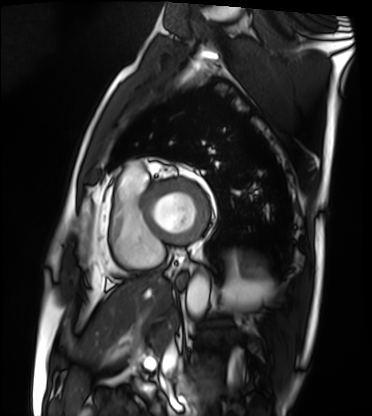
Q: What kind of scan is this?
A: Cardiac MRI.
Subject group: patient.